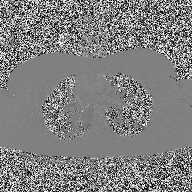
  modality:
    type: 2D phase-contrast cine MRI
    region: ascending aorta
    reconstruction: high-resolution GRAPPA acquisition